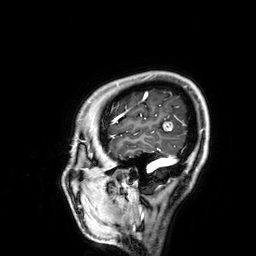
3 Tesla brain MRI. Series: 3D T1-weighted. Study: ring-enhancing brain masses.